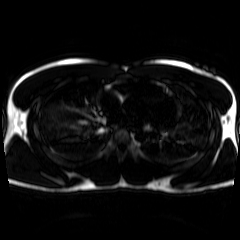
modality — chemical-shift-encoded cardiac MRI